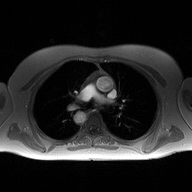
2D phase-contrast cine MRI of the ascending aorta, high-resolution GRAPPA acquisition.